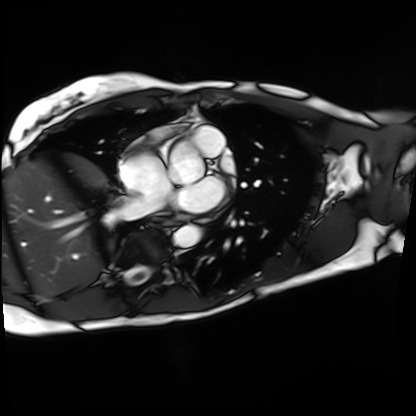
Case summary:
Cardiac MRI. Subject group: patient.